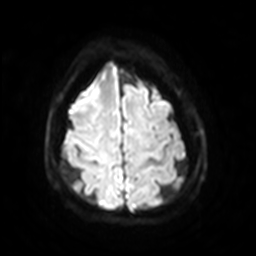
<record>
  <modality>
    <type>brain MRI</type>
    <field_strength>3T</field_strength>
  </modality>
  <series>diffusion-weighted imaging with SENSE (WIP)</series>
  <study_topic>ring-enhancing brain masses</study_topic>
</record>